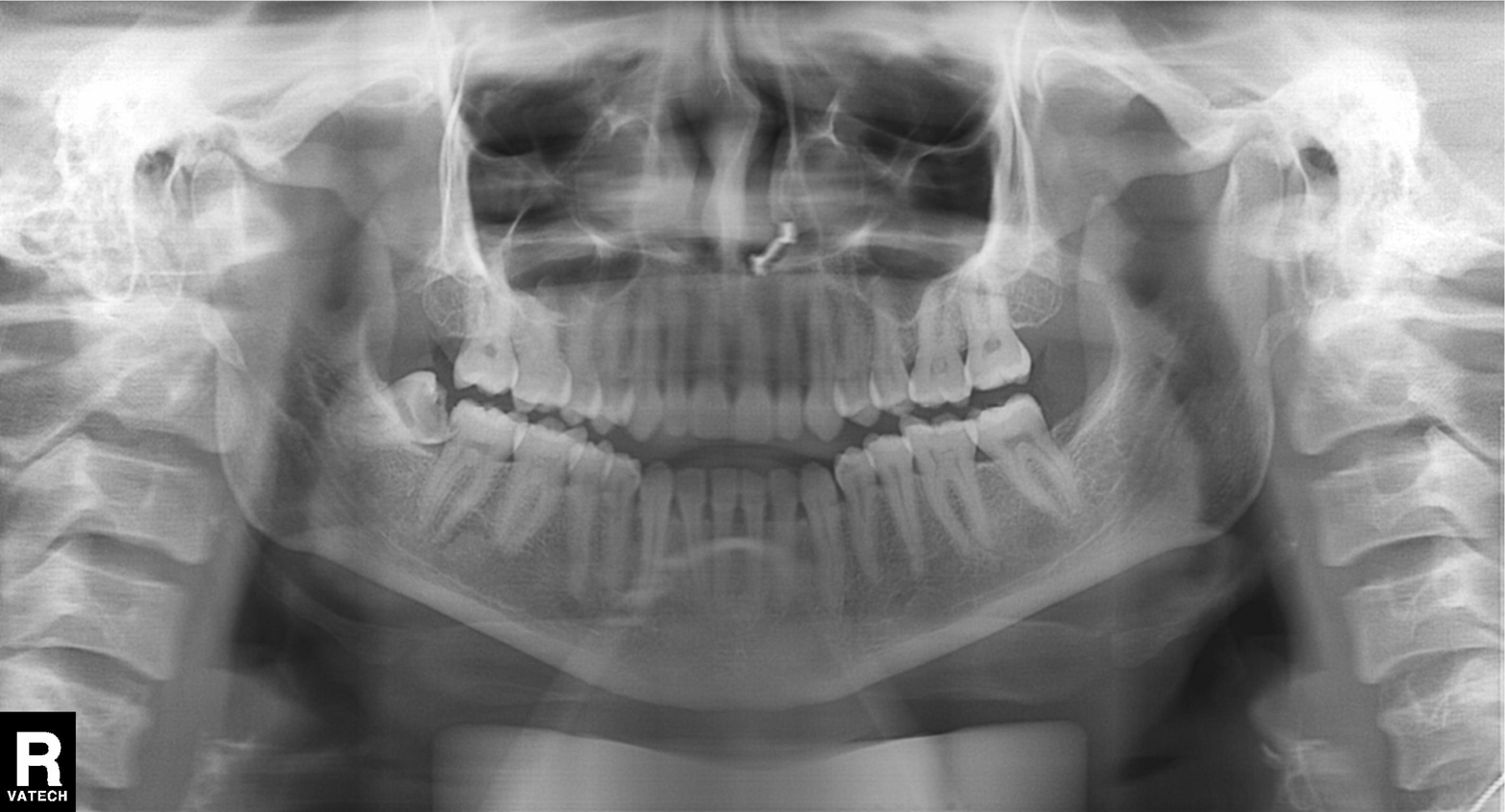
Panoramic dental radiograph (orthopantomogram).
Finding: alveolar bone loss.